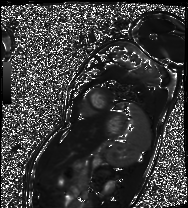
Summary: Cardiac MRI. Subject group: patient.